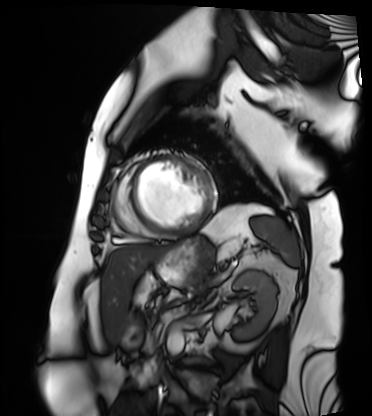
Q: What kind of scan is this?
A: Cardiac MRI.
Subject group: patient.